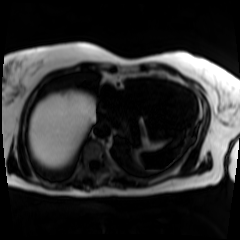
Chemical-shift-encoded cardiac MRI.